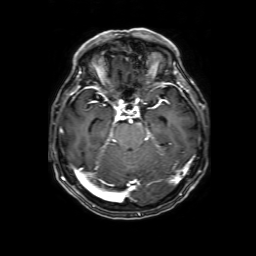
Summary: 3 Tesla brain MRI. Series: 3D T1-weighted with SENSE. Study: ring-enhancing brain masses.